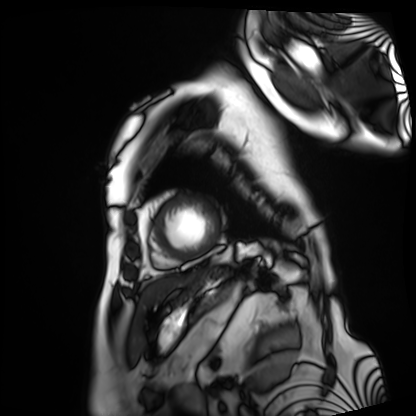
Cardiac MRI. Subject group: patient.